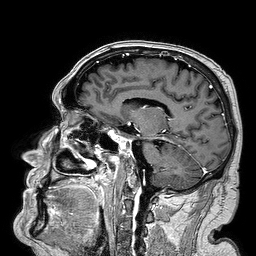
Clinical context:
3 Tesla brain MRI. Series: 3D T1-weighted turbo field echo. Study: ring-enhancing brain masses.